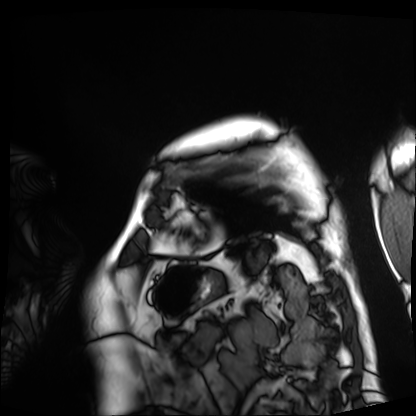
Cardiac MRI. Subject group: patient.